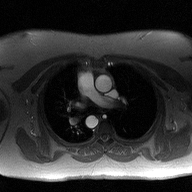
2D phase-contrast cine MRI of the ascending aorta, high-resolution GRAPPA acquisition.